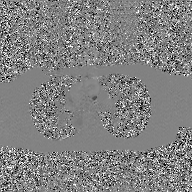
| field | value |
|---|---|
| modality | 2D phase-contrast cine MRI of the ascending aorta, GAN super-resolution reconstruction |